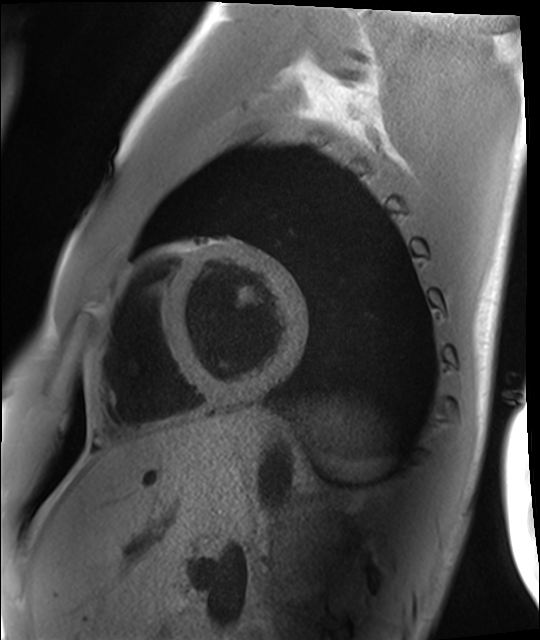
modality = cardiac MRI; subject group = healthy volunteer.